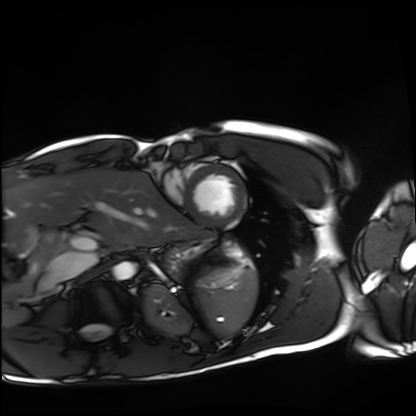
Cardiac MRI. Subject group: healthy volunteer.